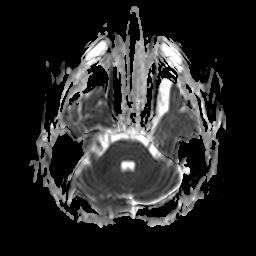
3 Tesla brain MRI.
Series: apparent diffusion coefficient (ADC) map.
Study: ring-enhancing brain masses.